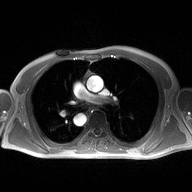
{
  "modality": {
    "type": "2D phase-contrast cine MRI",
    "region": "ascending aorta",
    "reconstruction": "high-resolution GRAPPA acquisition"
  }
}